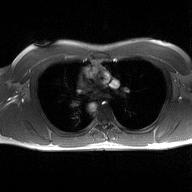
Summary: 2D phase-contrast cine MRI of the ascending aorta, high-resolution GRAPPA acquisition.